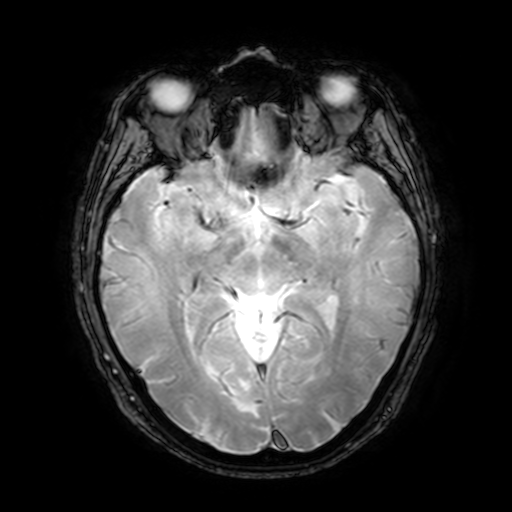
3 Tesla brain MRI.
Series: T2-weighted fast field echo with SENSE.
Study: ring-enhancing brain masses.